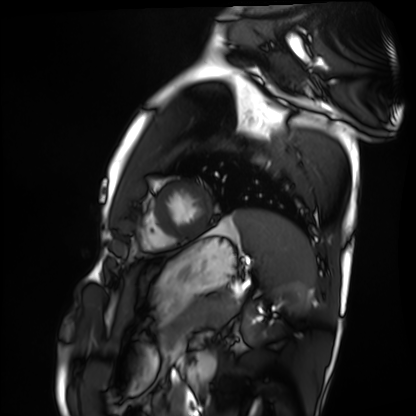
Cardiac MRI.
Subject group: healthy volunteer.